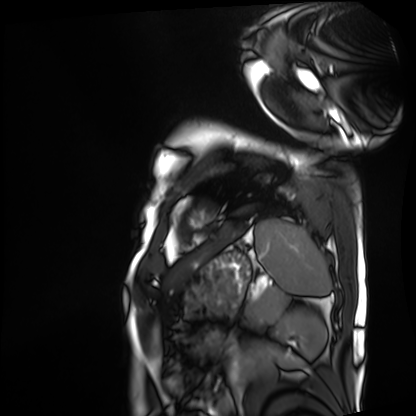
Cardiac MRI. Subject group: patient.